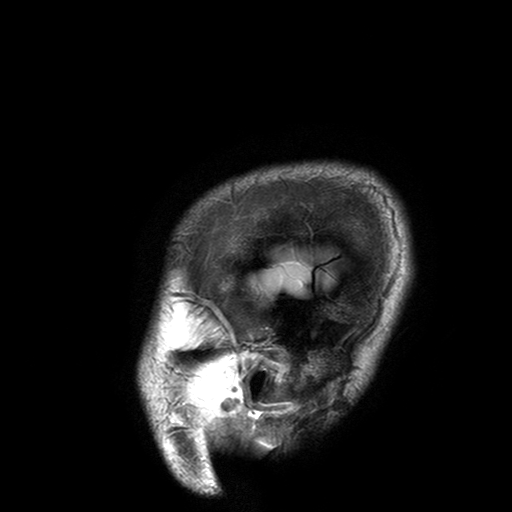
Summary: 3 Tesla brain MRI. Series: T2-weighted turbo spin echo with SENSE. Study: ring-enhancing brain masses.